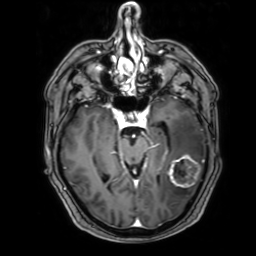
3 Tesla brain MRI. Series: 3D T1-weighted with SENSE. Study: ring-enhancing brain masses.